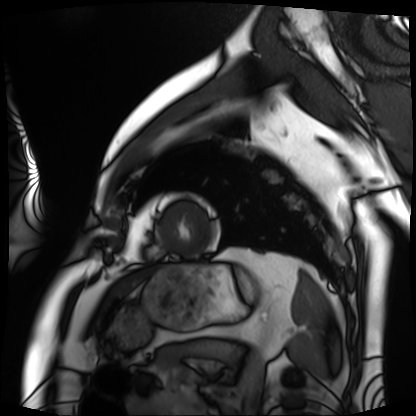
Summary: Cardiac MRI. Subject group: patient.